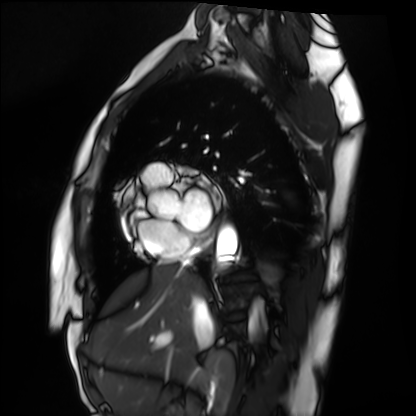
| field | value |
|---|---|
| modality | cardiac MRI |
| subject group | healthy volunteer |